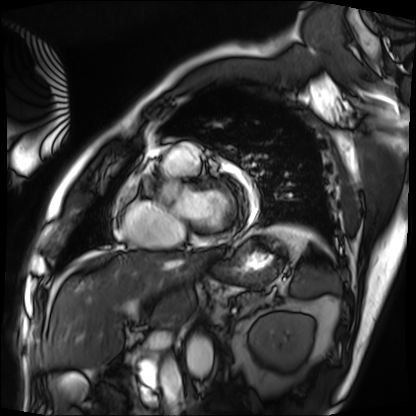
Case summary:
Cardiac MRI. Subject group: patient.